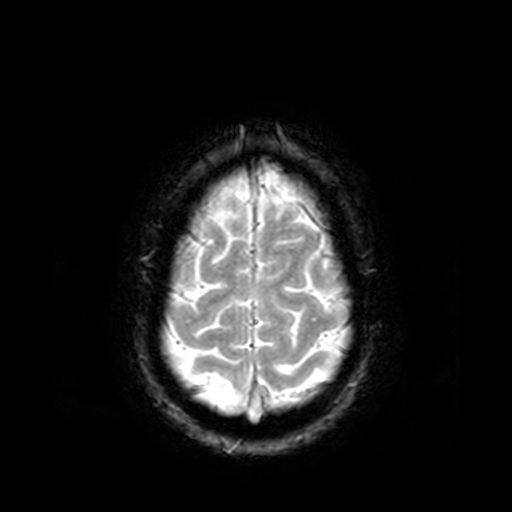
Q: What kind of scan is this?
A: 3 Tesla brain MRI.
Q: Series?
A: T2-weighted fast field echo.
Study: ring-enhancing brain masses.